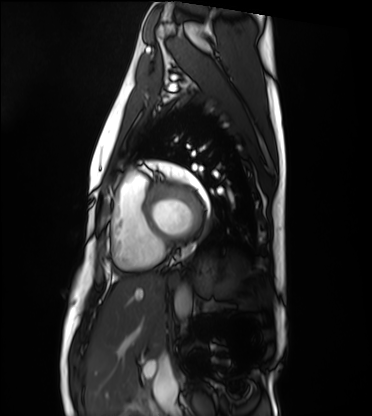
{
  "modality": "cardiac MRI",
  "cohort": "healthy volunteer"
}